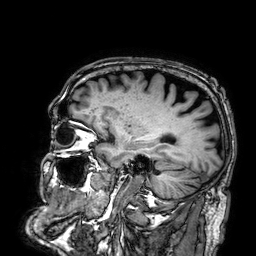
modality: 3 Tesla brain MRI
series: 3D T1-weighted
study: ring-enhancing brain masses